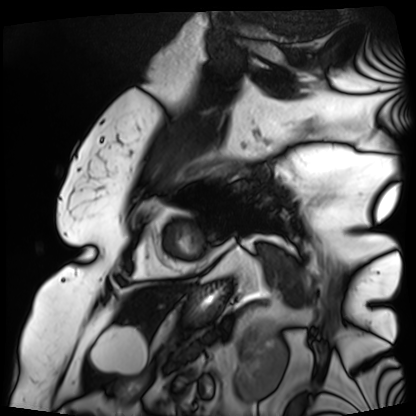
| field | value |
|---|---|
| modality | cardiac MRI |
| subject group | patient |